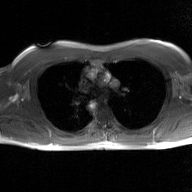
modality: 2D phase-contrast cine MRI of the ascending aorta, GAN super-resolution reconstruction